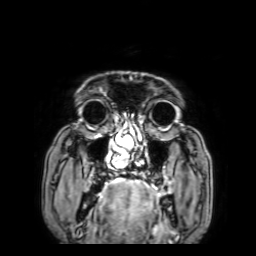
Summary:
3 Tesla brain MRI. Series: 3D T1-weighted with SENSE. Study: ring-enhancing brain masses.